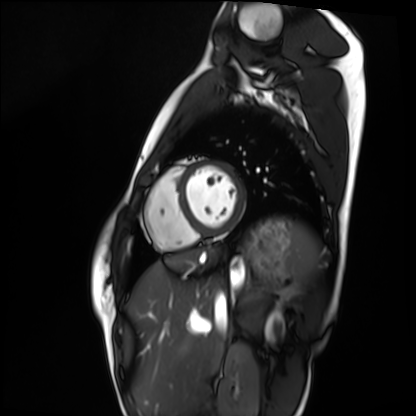
modality=cardiac MRI
subject group=healthy volunteer